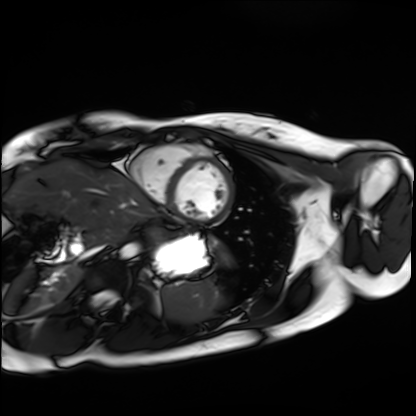
{
  "modality": "cardiac MRI",
  "cohort": "healthy volunteer"
}